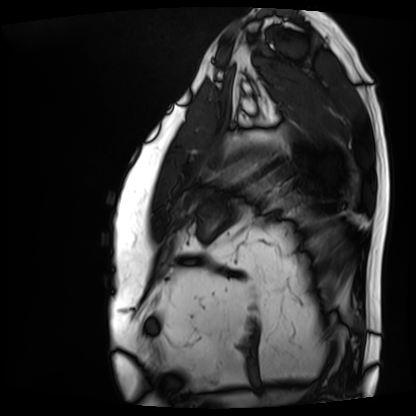
Case summary:
Cardiac MRI. Subject group: patient.